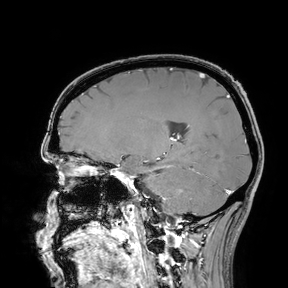
Q: What kind of scan is this?
A: 3 Tesla brain MRI.
Study: ring-enhancing brain masses.